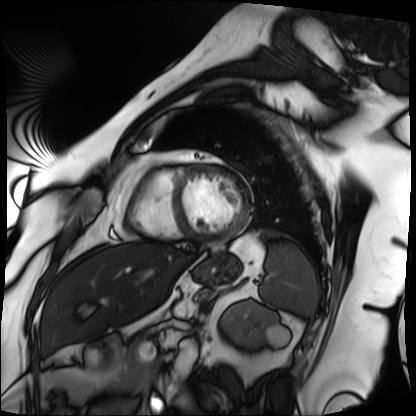
- modality — cardiac MRI
- subject group — patient